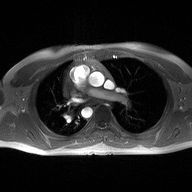
{
  "modality": {
    "type": "2D phase-contrast cine MRI",
    "region": "ascending aorta",
    "reconstruction": "high-resolution GRAPPA acquisition"
  }
}